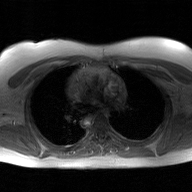
{
  "modality": {
    "type": "2D phase-contrast cine MRI",
    "region": "ascending aorta",
    "reconstruction": "GAN super-resolution reconstruction"
  }
}